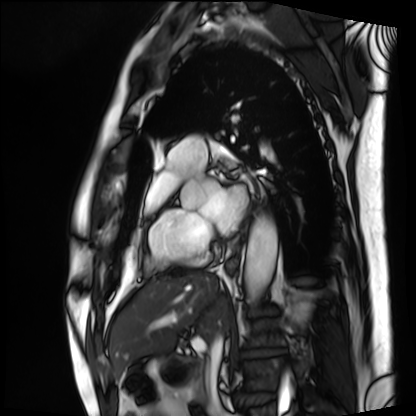
Case summary:
Cardiac MRI. Subject group: patient.